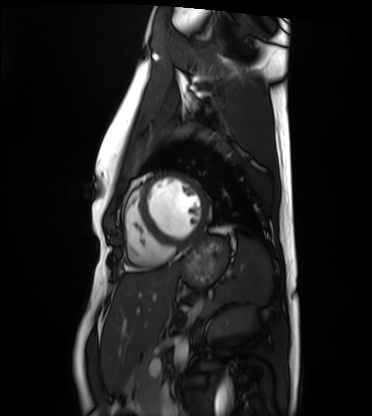
{"modality": "cardiac MRI", "cohort": "healthy volunteer"}